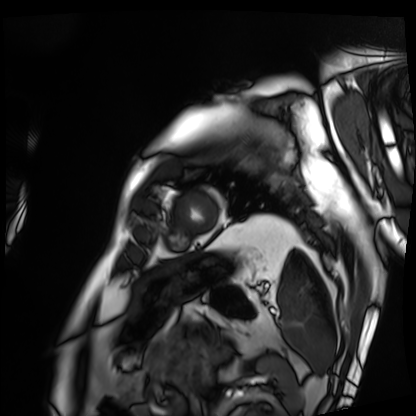
Clinical context:
Cardiac MRI. Subject group: patient.